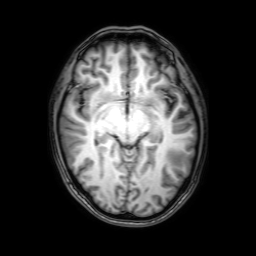
{
  "modality": {
    "type": "brain MRI",
    "field_strength": "3T"
  },
  "series": "3D T1-weighted with SENSE",
  "study_topic": "ring-enhancing brain masses"
}